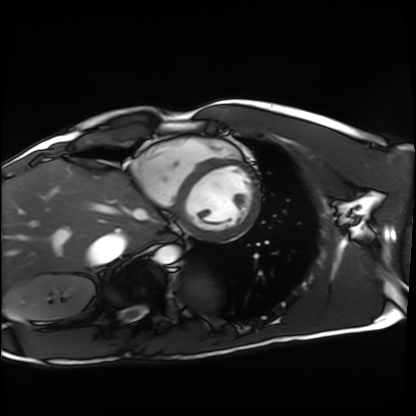
Cardiac MRI. Subject group: healthy volunteer.